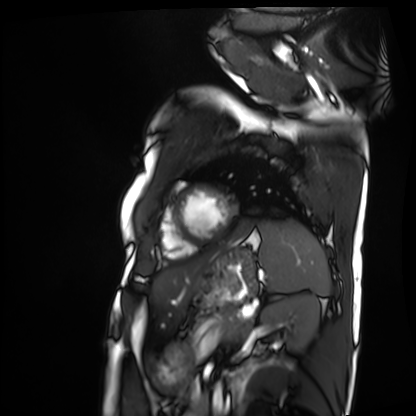
modality = cardiac MRI; subject group = patient.